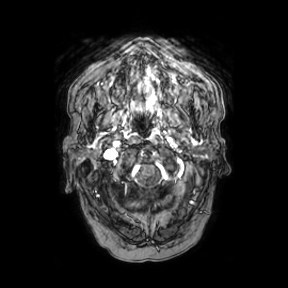
Case summary:
3 Tesla brain MRI. Series: axial. Study: ring-enhancing brain masses.